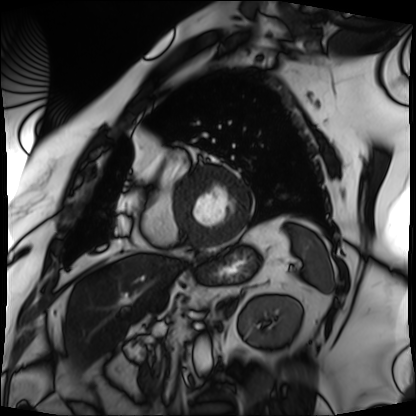
Q: What kind of scan is this?
A: Cardiac MRI.
Subject group: patient.